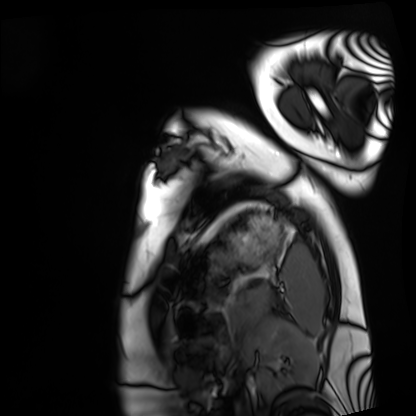
Summary: Cardiac MRI. Subject group: healthy volunteer.